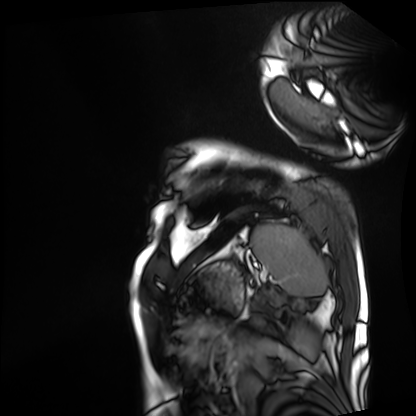
Cardiac MRI.
Subject group: patient.